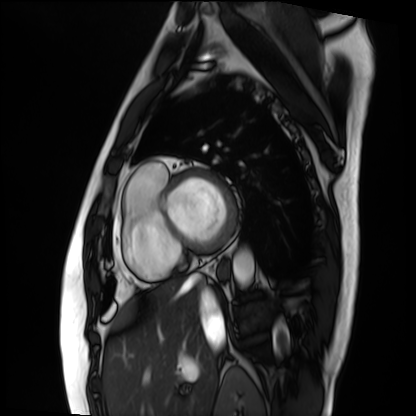
* modality: cardiac MRI
* subject group: patient